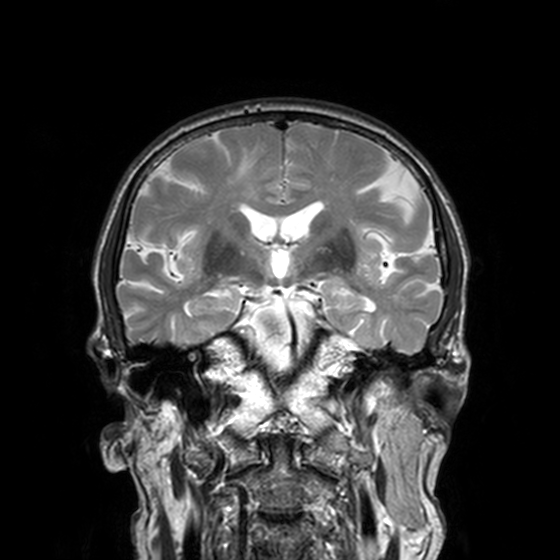
modality: 3 Tesla brain MRI; series: T2-weighted turbo spin echo, 3 mm; study: ring-enhancing brain masses.